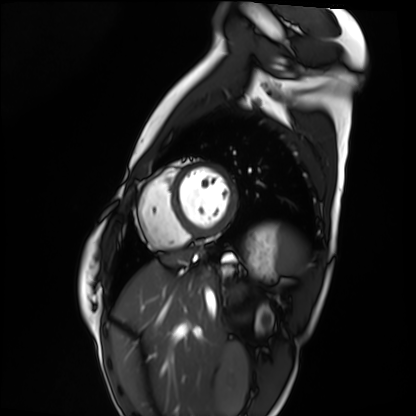
Case summary:
Cardiac MRI. Subject group: healthy volunteer.